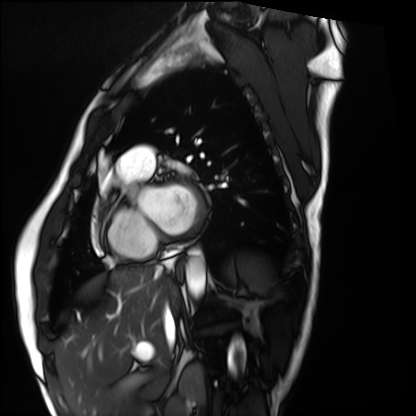
modality: cardiac MRI
subject group: healthy volunteer